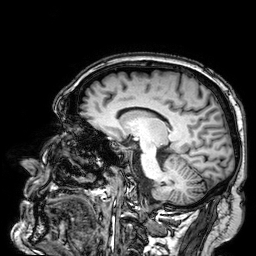
3 Tesla brain MRI. Series: 3D T1-weighted. Study: ring-enhancing brain masses.